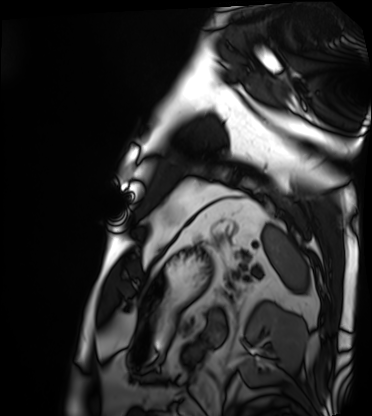
Cardiac MRI. Subject group: patient.